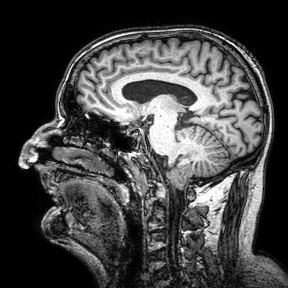
modality: 3 Tesla brain MRI | series: 3D T1-weighted turbo field echo with SENSE | study: ring-enhancing brain masses.